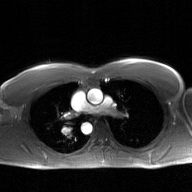
• modality: 2D phase-contrast cine MRI of the ascending aorta, GAN super-resolution reconstruction